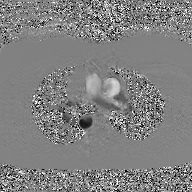
modality: 2D phase-contrast cine MRI of the ascending aorta, GAN super-resolution reconstruction.